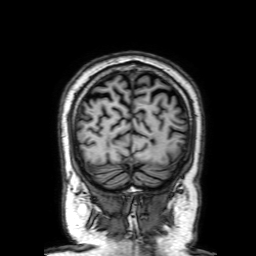
3 Tesla brain MRI.
Series: 3D T1-weighted with SENSE.
Study: ring-enhancing brain masses.